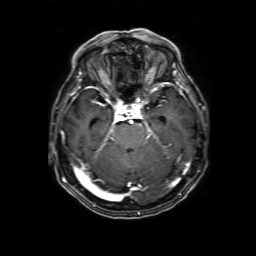
Summary:
3 Tesla brain MRI. Series: 3D T1-weighted with SENSE. Study: ring-enhancing brain masses.